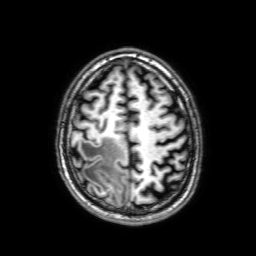
3 Tesla brain MRI. Series: 3D T1-weighted with SENSE. Study: ring-enhancing brain masses.